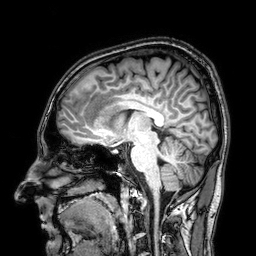
<scan>
<modality>
  <type>brain MRI</type>
  <field_strength>3T</field_strength>
</modality>
<series>3D T1-weighted</series>
<study_topic>ring-enhancing brain masses</study_topic>
</scan>